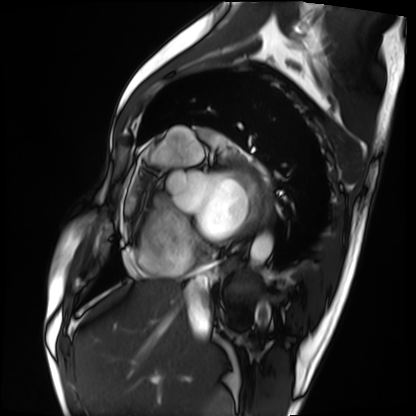
Cardiac MRI.
Subject group: patient.